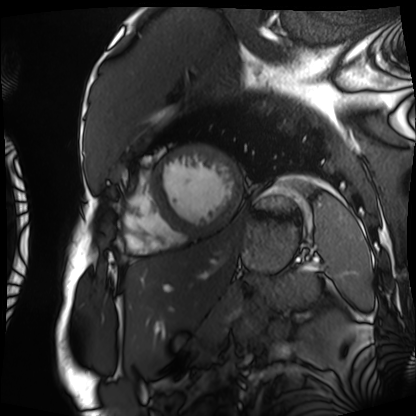
Cardiac MRI. Subject group: patient.